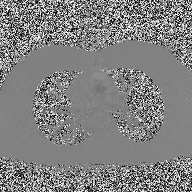
modality = 2D phase-contrast cine MRI of the ascending aorta.